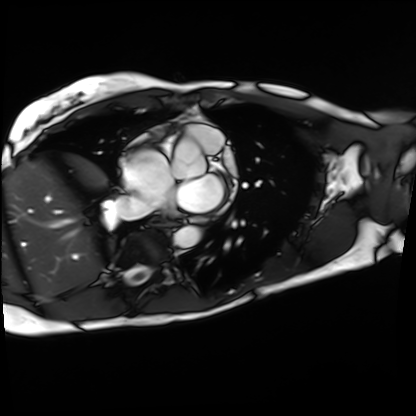
Cardiac MRI.
Subject group: patient.